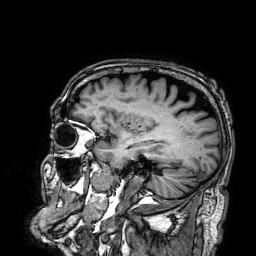
3 Tesla brain MRI.
Series: 3D T1-weighted.
Study: ring-enhancing brain masses.